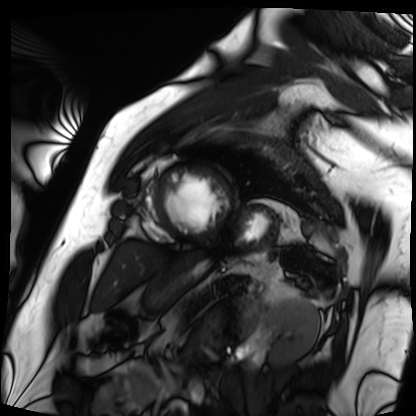
modality=cardiac MRI | subject group=patient.